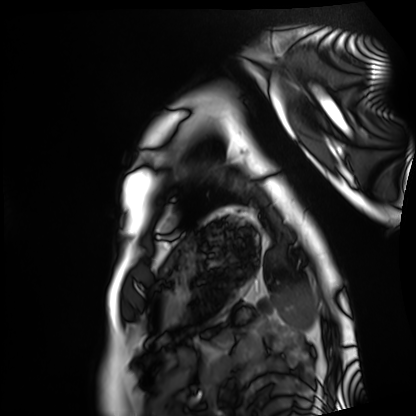
Cardiac MRI. Subject group: healthy volunteer.